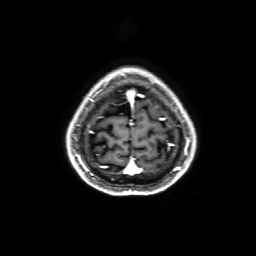
Q: What kind of scan is this?
A: 3 Tesla brain MRI.
Q: Series?
A: 3D T1-weighted with SENSE.
Study: ring-enhancing brain masses.